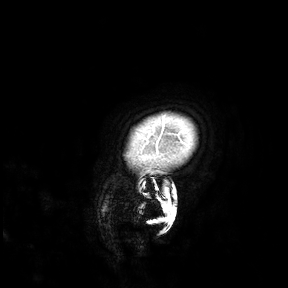
Case summary: 3 Tesla brain MRI. Study: ring-enhancing brain masses.